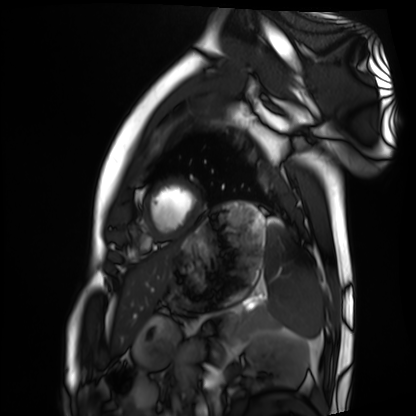
modality = cardiac MRI | subject group = healthy volunteer.